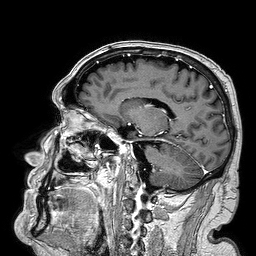
* modality: 3 Tesla brain MRI
* series: 3D T1-weighted turbo field echo
* study: ring-enhancing brain masses